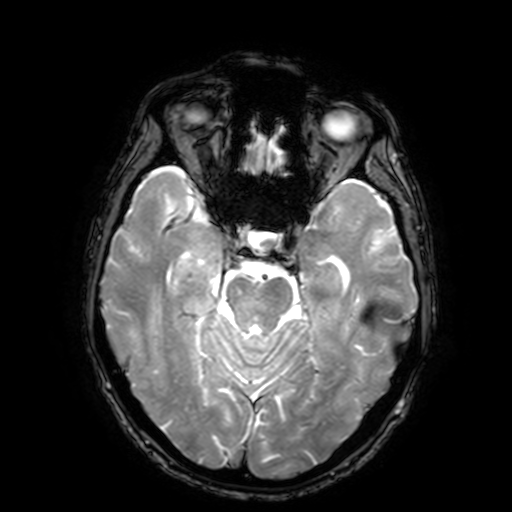
modality: 3 Tesla brain MRI; series: T2-weighted fast field echo with SENSE; study: ring-enhancing brain masses.